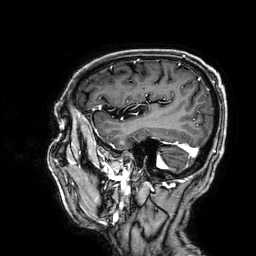
3 Tesla brain MRI. Series: 3D T1-weighted. Study: ring-enhancing brain masses.